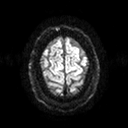
• modality — 3 Tesla brain MRI
• series — diffusion tensor imaging (medium iso)
• study — ring-enhancing brain masses